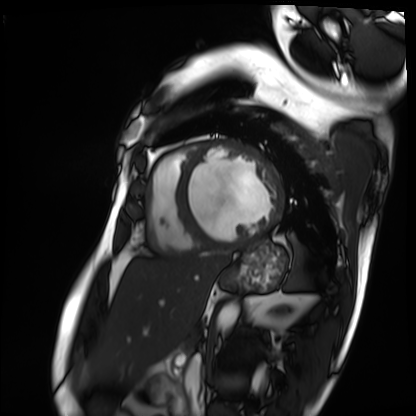
modality — cardiac MRI; subject group — patient.